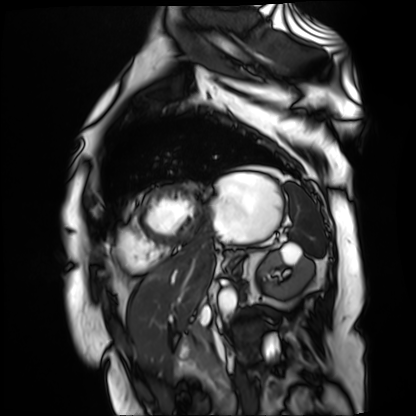
Cardiac MR image of the myocardium. Subject cohort: cardiac patient.